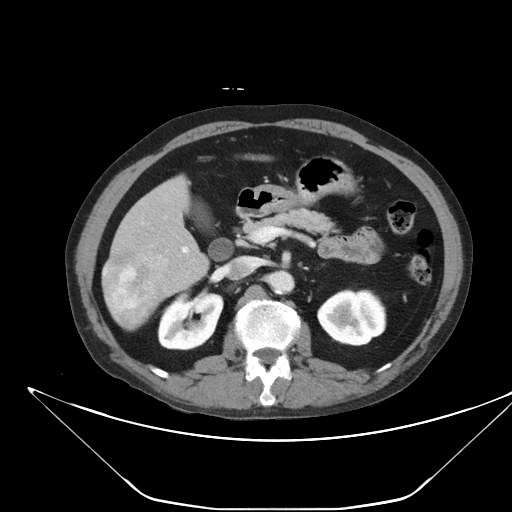
• modality · multiphase abdominal CT, liver, portal venous phase
• patient · male, age 59
• history · viral hepatitis